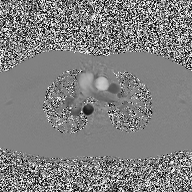
| field | value |
|---|---|
| modality | 2D phase-contrast cine MRI of the ascending aorta |